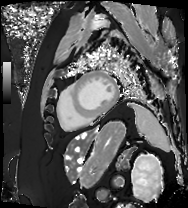
– modality — cardiac MRI
– subject group — patient